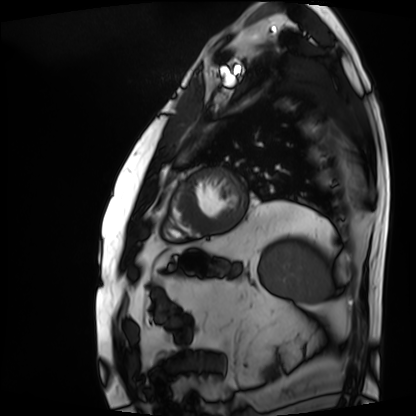
Cardiac MRI.
Subject group: patient.